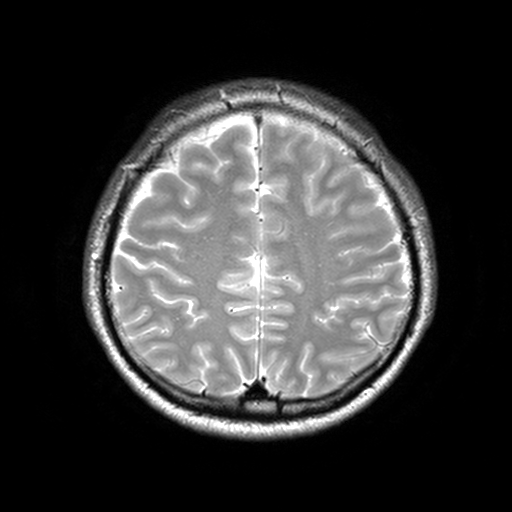
modality = 3 Tesla brain MRI
series = T2-weighted turbo spin echo, 3 mm
study = ring-enhancing brain masses